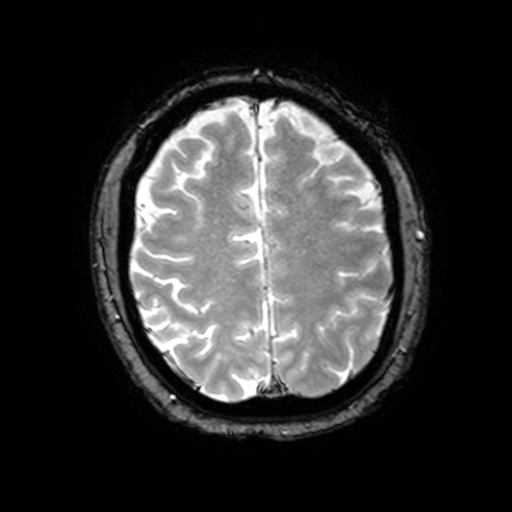
Q: What kind of scan is this?
A: 3 Tesla brain MRI.
Q: Series?
A: T2-weighted fast field echo with SENSE.
Study: ring-enhancing brain masses.